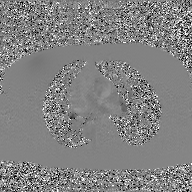
<scan>
  <modality>
    <type>2D phase-contrast cine MRI</type>
    <region>ascending aorta</region>
    <reconstruction>GAN super-resolution reconstruction</reconstruction>
  </modality>
</scan>